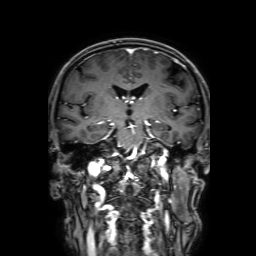
<scan>
  <modality>
    <type>brain MRI</type>
    <field_strength>3T</field_strength>
  </modality>
  <series>3D T1-weighted with SENSE</series>
  <study_topic>ring-enhancing brain masses</study_topic>
</scan>